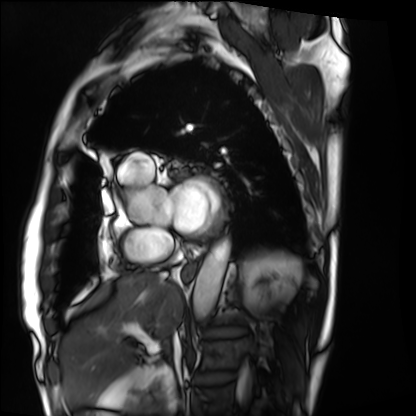
modality — cardiac MRI
subject group — patient